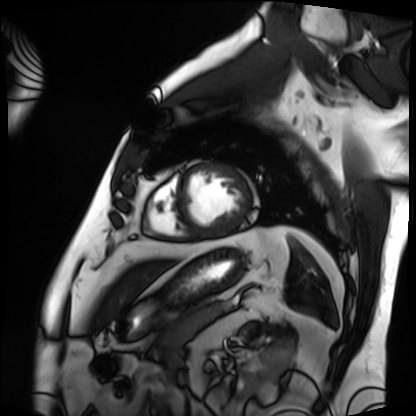
Cardiac MRI.
Subject group: patient.